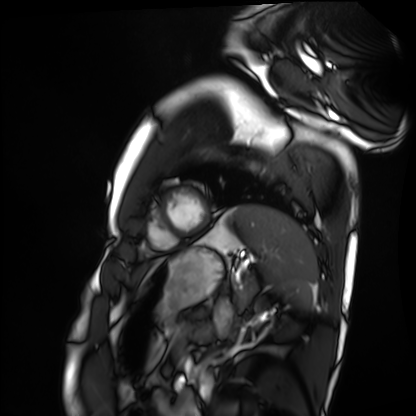
modality=cardiac MRI
subject group=healthy volunteer